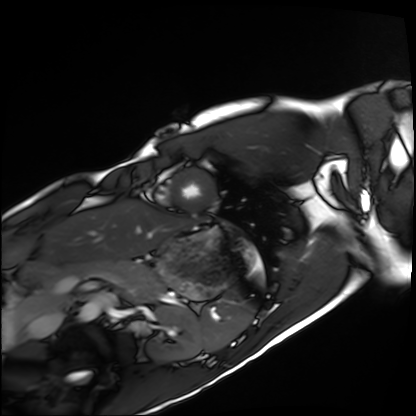
{
  "modality": "cardiac MRI",
  "cohort": "healthy volunteer"
}